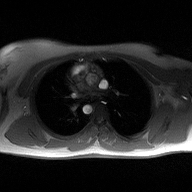
modality: 2D phase-contrast cine MRI of the ascending aorta